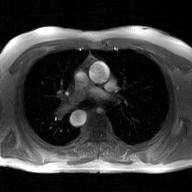
modality: 2D phase-contrast cine MRI of the ascending aorta, GAN super-resolution reconstruction.